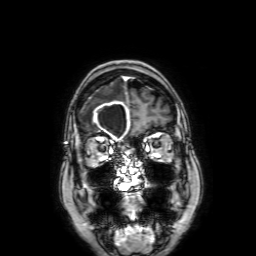
modality:
  type: brain MRI
  field_strength: 3T
series: 3D T1-weighted with SENSE
study_topic: ring-enhancing brain masses